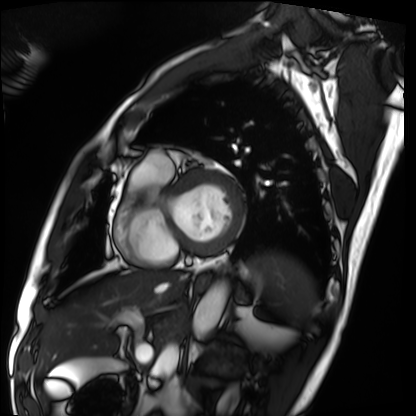
modality = cardiac MRI
subject group = patient